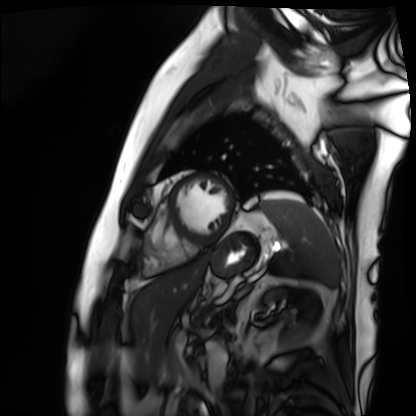
Summary:
Cardiac MRI. Subject group: patient.